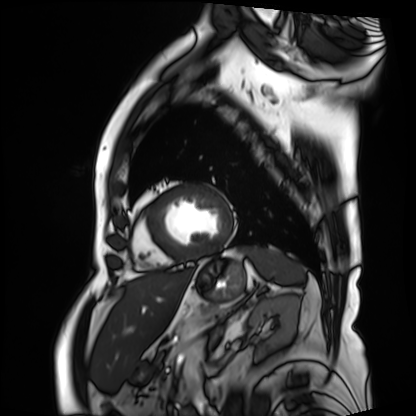
Cardiac MRI.
Subject group: patient.